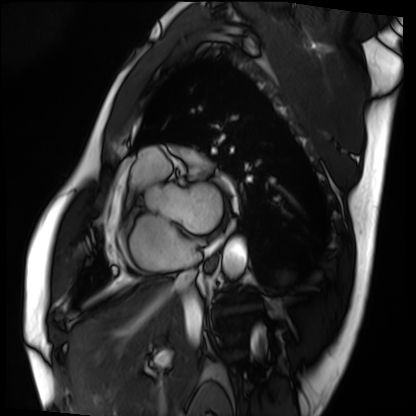
modality: cardiac MRI; subject group: patient.